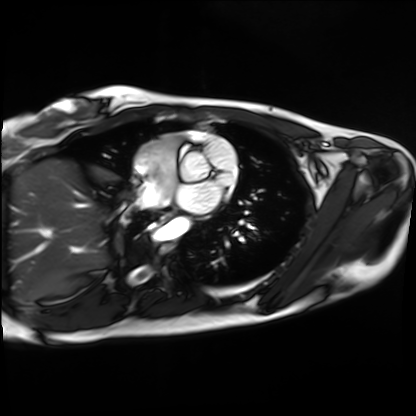
Cardiac MRI. Subject group: healthy volunteer.